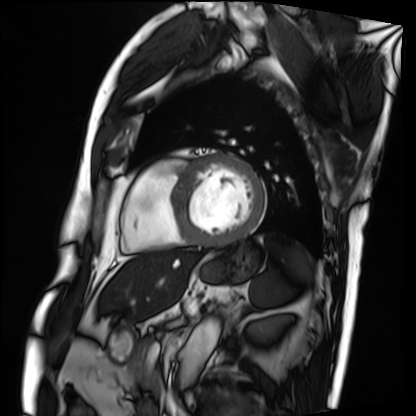
Summary: Cardiac MRI. Subject group: patient.